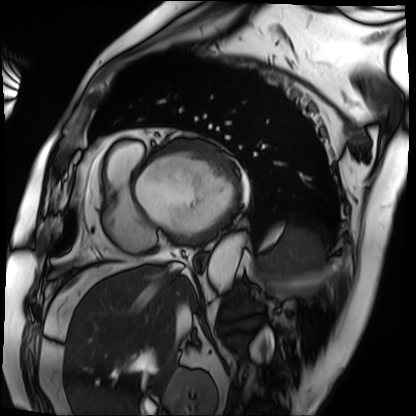
– modality: cardiac MRI
– subject group: patient